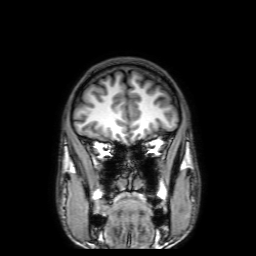
Summary: 3 Tesla brain MRI. Series: 3D T1-weighted with SENSE. Study: ring-enhancing brain masses.